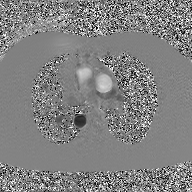
modality: 2D phase-contrast cine MRI of the ascending aorta, GAN super-resolution reconstruction.